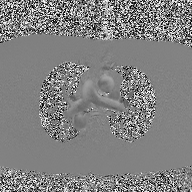
2D phase-contrast cine MRI of the ascending aorta, high-resolution GRAPPA acquisition.